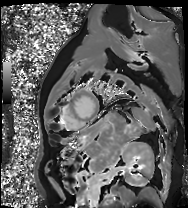
  modality: cardiac MRI
  cohort: patient